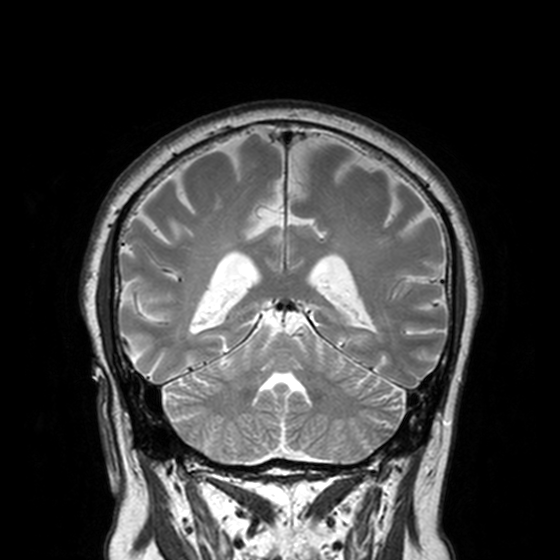
Q: What kind of scan is this?
A: 3 Tesla brain MRI.
Q: Series?
A: T2-weighted turbo spin echo, 3 mm.
Study: ring-enhancing brain masses.